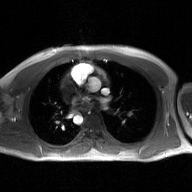
modality = 2D phase-contrast cine MRI of the ascending aorta, GAN super-resolution reconstruction.